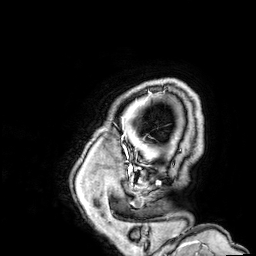
3 Tesla brain MRI.
Series: 3D T1-weighted.
Study: ring-enhancing brain masses.